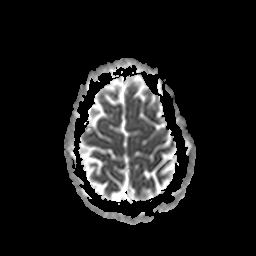
Summary:
3 Tesla brain MRI. Series: apparent diffusion coefficient (ADC) map. Study: ring-enhancing brain masses.